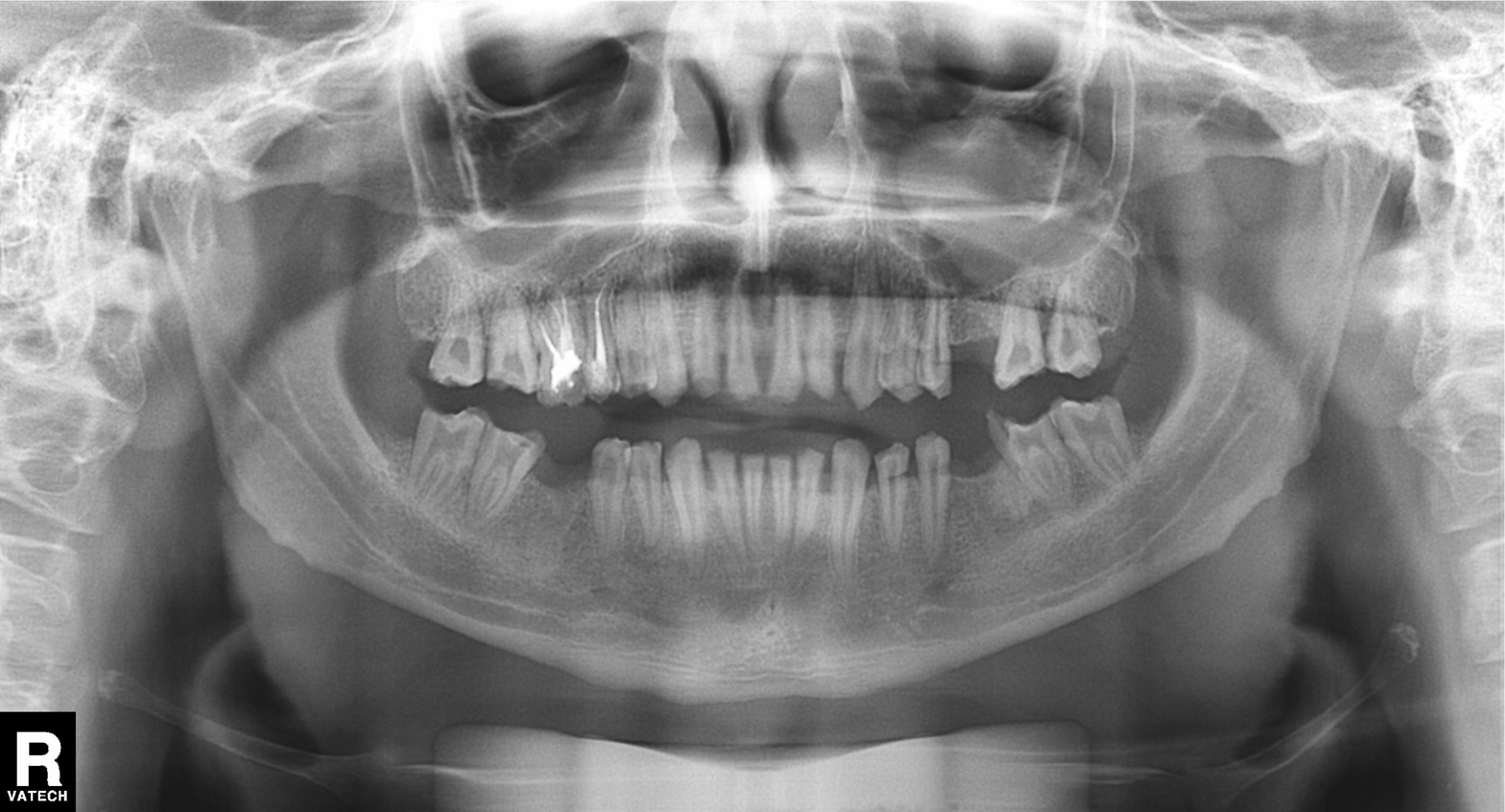
- modality — panoramic dental radiograph (orthopantomogram)
- finding — alveolar bone loss